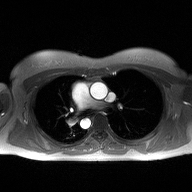
Clinical context:
2D phase-contrast cine MRI of the ascending aorta, high-resolution GRAPPA acquisition.